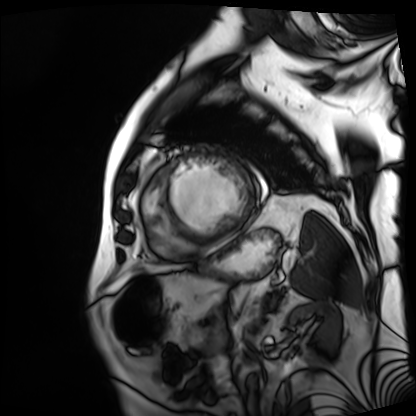
{"modality": "cardiac MRI", "cohort": "patient"}